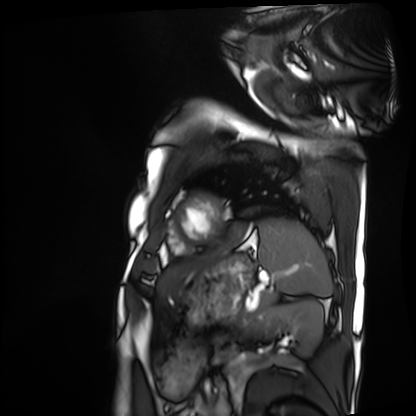
Cardiac MRI. Subject group: patient.